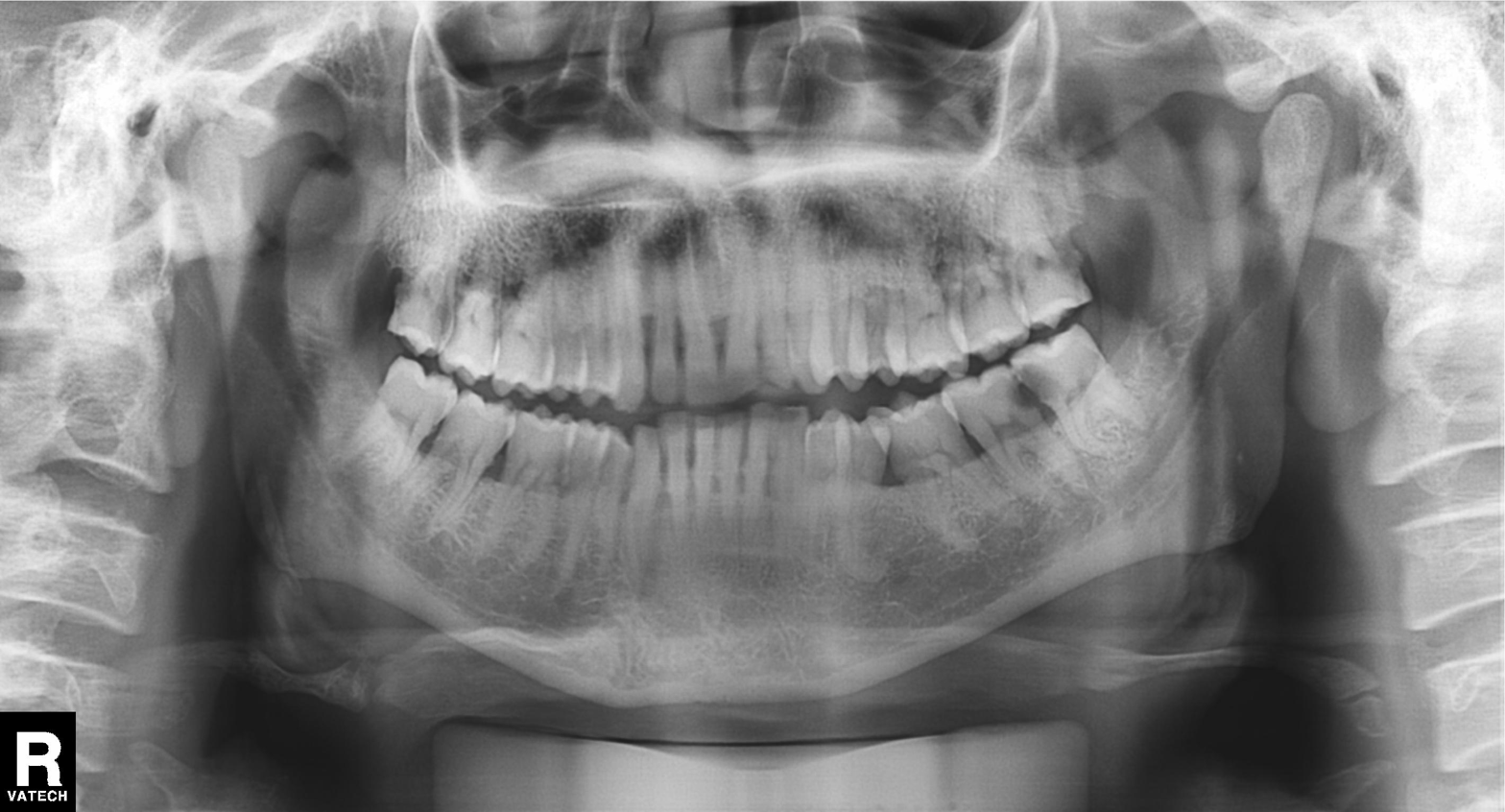
Panoramic dental radiograph (orthopantomogram). Finding: alveolar bone loss.